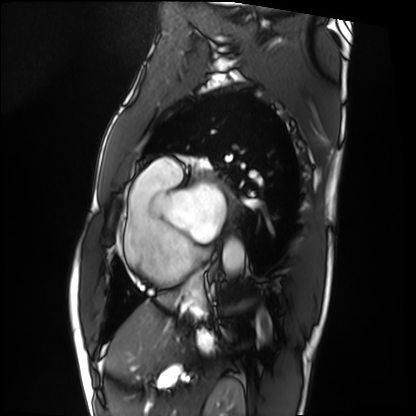
Cardiac MRI. Subject group: patient.